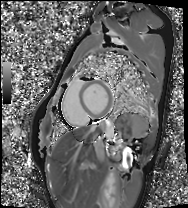
Cardiac MRI.
Subject group: healthy volunteer.